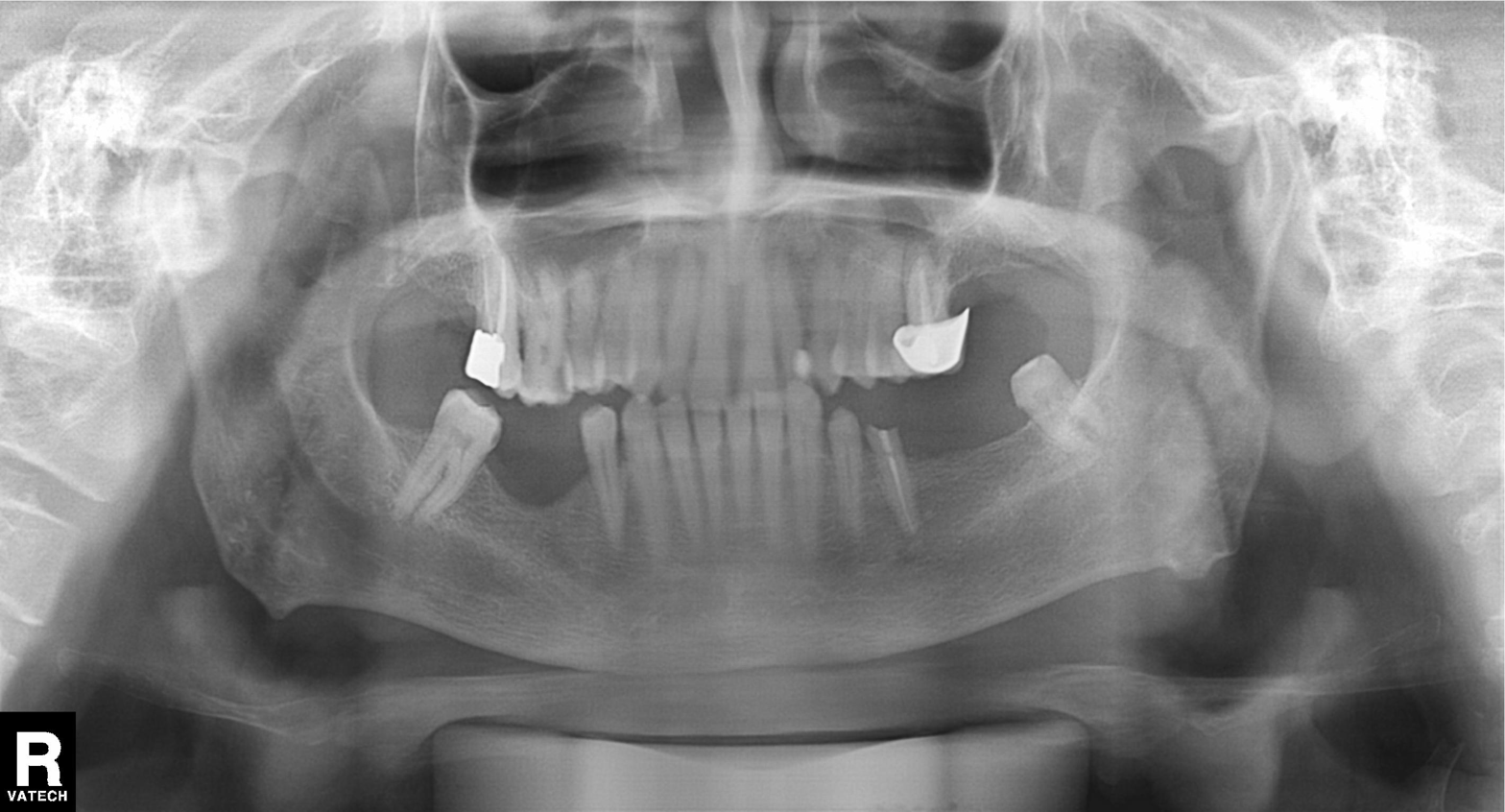
* modality · panoramic dental radiograph (orthopantomogram)
* finding · alveolar bone loss